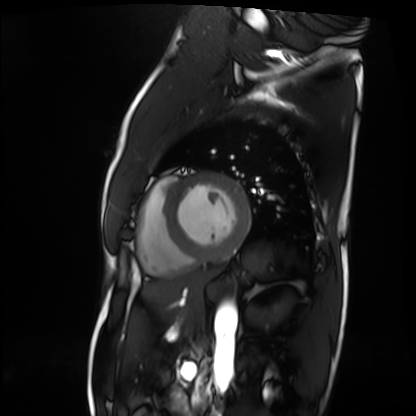
modality = cardiac MRI
subject group = patient